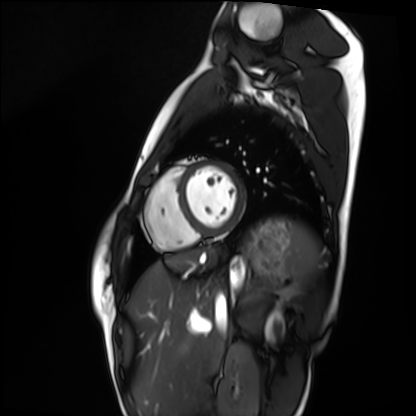
Cardiac MRI.
Subject group: healthy volunteer.